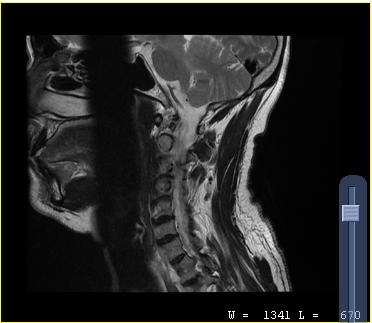
Q: What kind of scan is this?
A: MRI of the cervical spine.
Study: cervical spondylosis.